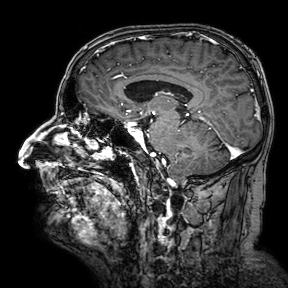
3 Tesla brain MRI.
Series: 3D T1-weighted turbo field echo with SENSE.
Study: ring-enhancing brain masses.